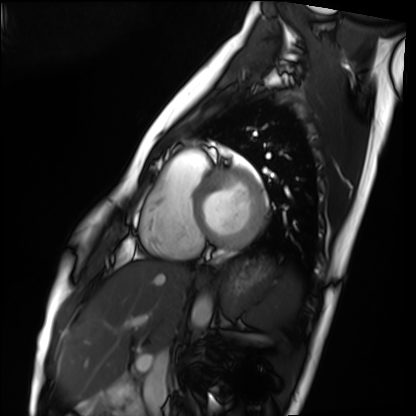
<case>
  <modality>cardiac MRI</modality>
  <cohort>healthy volunteer</cohort>
</case>